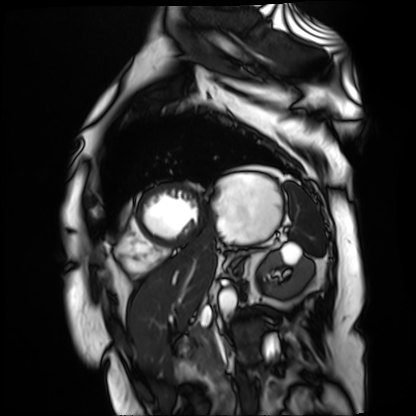
modality: cardiac MR image of the myocardium
subject cohort: cardiac patient